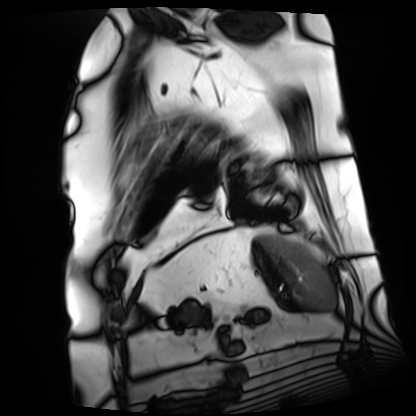
Cardiac MRI.
Subject group: patient.